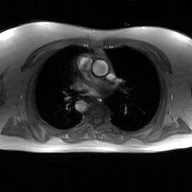
Q: What kind of scan is this?
A: 2D phase-contrast cine MRI of the ascending aorta, GAN super-resolution reconstruction.